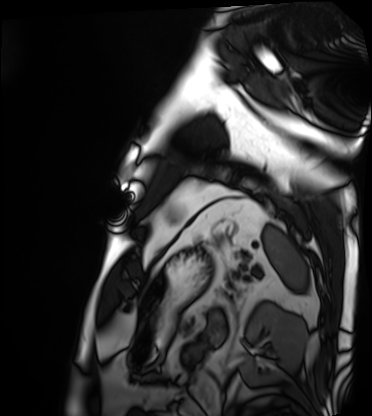
– modality · cardiac MRI
– subject group · patient